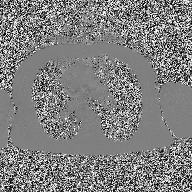
{"modality": {"type": "2D phase-contrast cine MRI", "region": "ascending aorta", "reconstruction": "high-resolution GRAPPA acquisition"}}